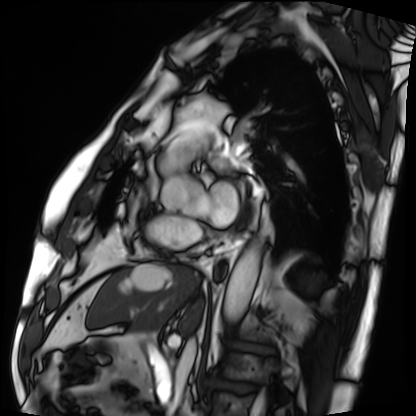
Q: What kind of scan is this?
A: Cardiac MRI.
Subject group: patient.